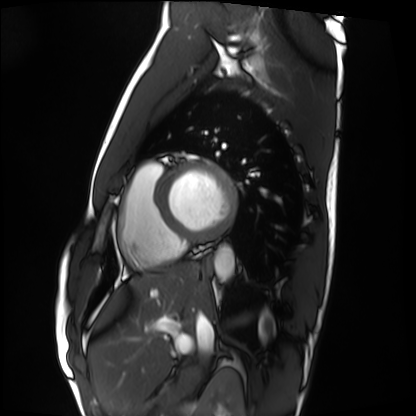
Summary:
Cardiac MRI. Subject group: healthy volunteer.